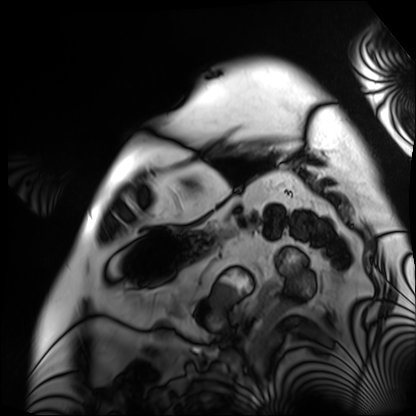
Clinical context:
Cardiac MRI. Subject group: patient.